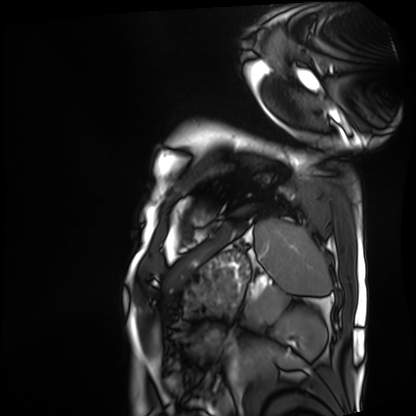
modality: cardiac MRI
cohort: patient